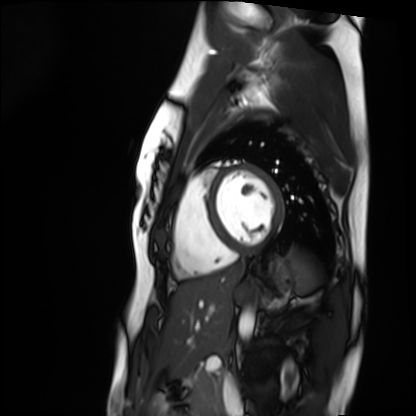
Cardiac MRI.
Subject group: healthy volunteer.